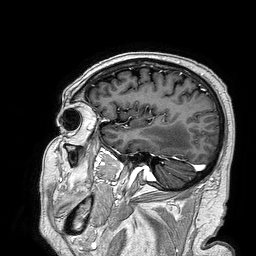
3 Tesla brain MRI. Series: 3D T1-weighted turbo field echo. Study: ring-enhancing brain masses.